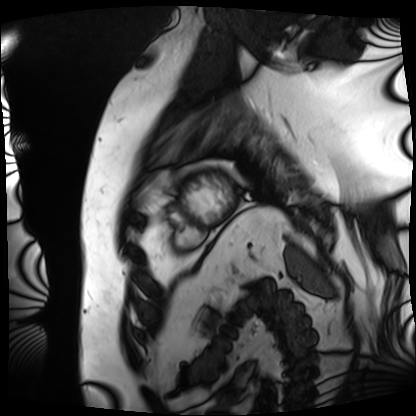
<record>
<modality>cardiac MRI</modality>
<cohort>patient</cohort>
</record>